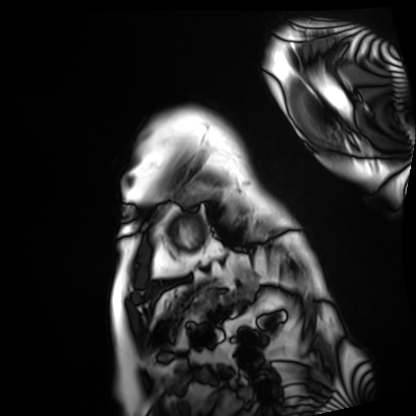
| field | value |
|---|---|
| modality | cardiac MRI |
| subject group | patient |